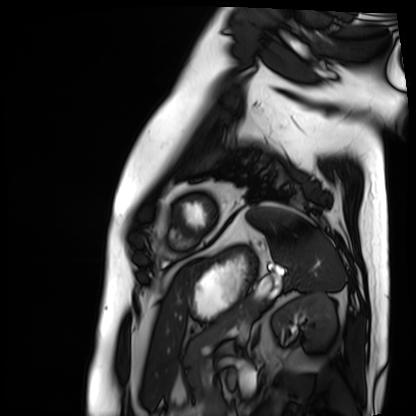
| field | value |
|---|---|
| modality | cardiac MRI |
| subject group | patient |